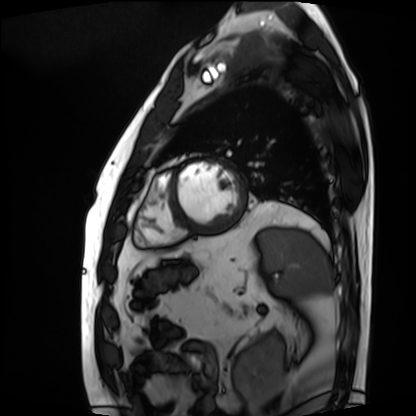
Q: What kind of scan is this?
A: Cardiac MRI.
Subject group: patient.